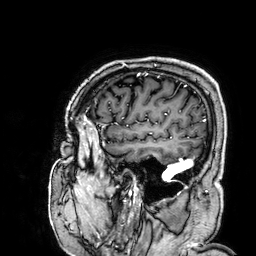
modality: 3 Tesla brain MRI; series: 3D T1-weighted; study: ring-enhancing brain masses.